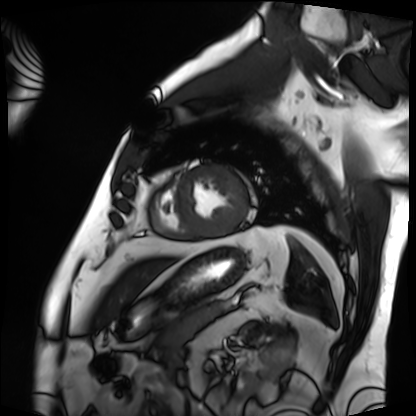
Case summary:
Cardiac MRI. Subject group: patient.